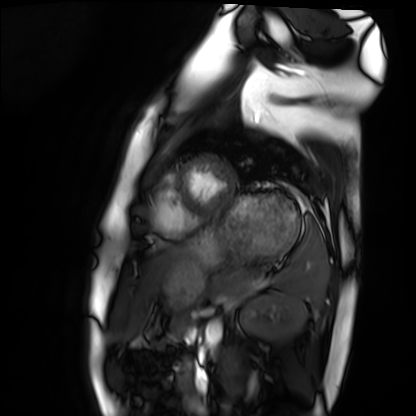
Clinical context: Cardiac MRI. Subject group: healthy volunteer.